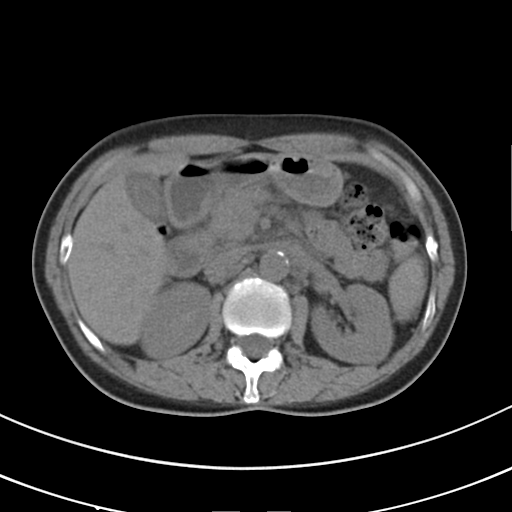
* modality: multiphase abdominal CT, liver, non-contrast phase
* patient: female, age 50